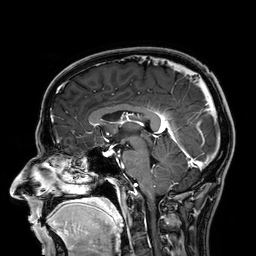
3 Tesla brain MRI.
Study: ring-enhancing brain masses.